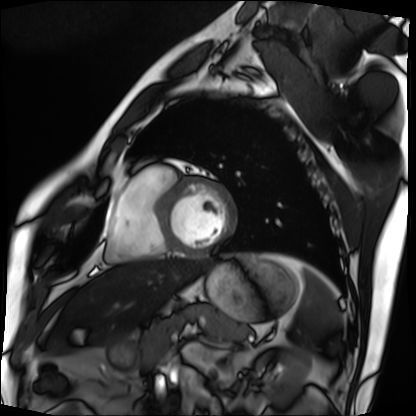
| field | value |
|---|---|
| modality | cardiac MRI |
| subject group | patient |